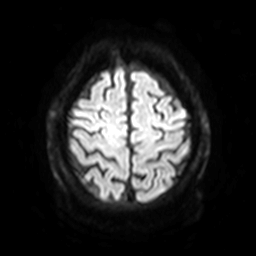
3 Tesla brain MRI.
Series: diffusion-weighted imaging with SENSE (WIP).
Study: ring-enhancing brain masses.